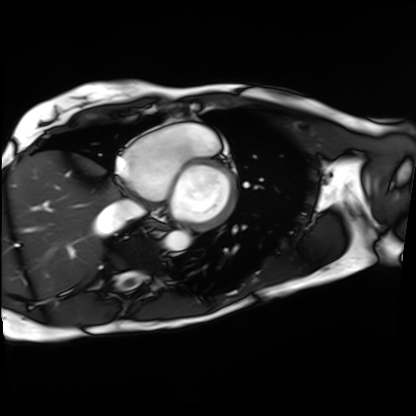
Cardiac MRI.
Subject group: patient.